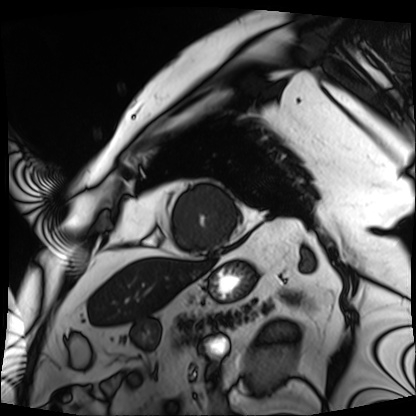
Case summary:
Cardiac MRI. Subject group: patient.